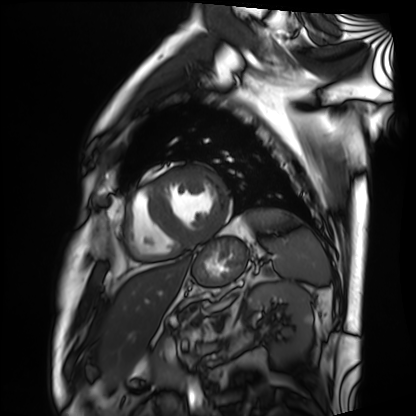
- modality · cardiac MRI
- subject group · patient